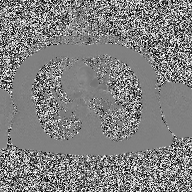
Summary: 2D phase-contrast cine MRI of the ascending aorta, high-resolution GRAPPA acquisition.